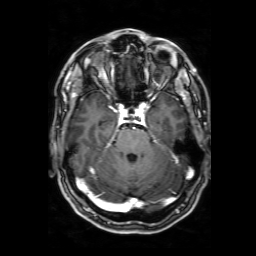
Q: What kind of scan is this?
A: 3 Tesla brain MRI.
Q: Series?
A: 3D T1-weighted with SENSE.
Study: ring-enhancing brain masses.